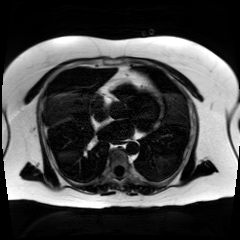
- modality · chemical-shift-encoded cardiac MRI